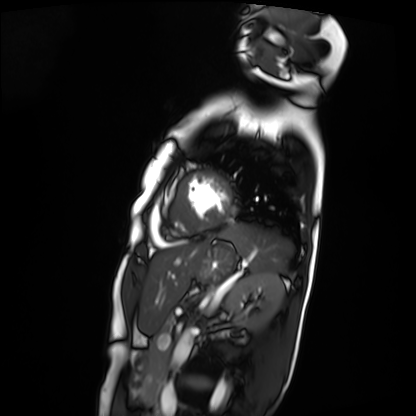
Case summary: Cardiac MRI. Subject group: patient.